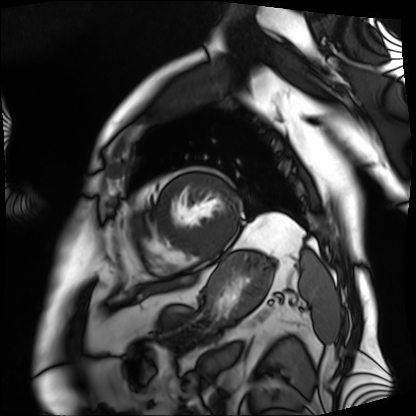
Cardiac MRI. Subject group: patient.